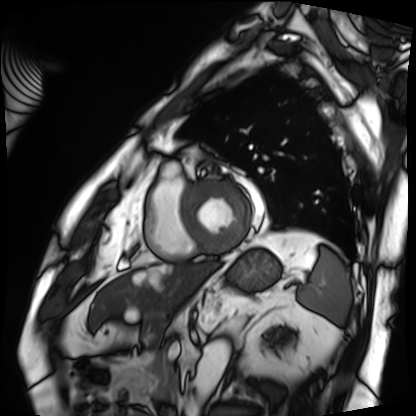
Cardiac MRI.
Subject group: patient.